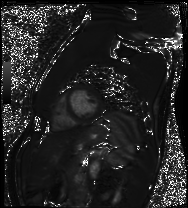
<study>
  <modality>cardiac MRI</modality>
  <cohort>healthy volunteer</cohort>
</study>